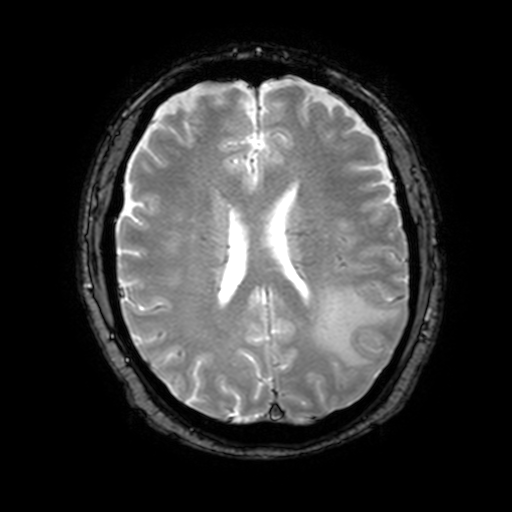
{"modality": {"type": "brain MRI", "field_strength": "3T"}, "series": "T2-weighted fast field echo with SENSE", "study_topic": "ring-enhancing brain masses"}